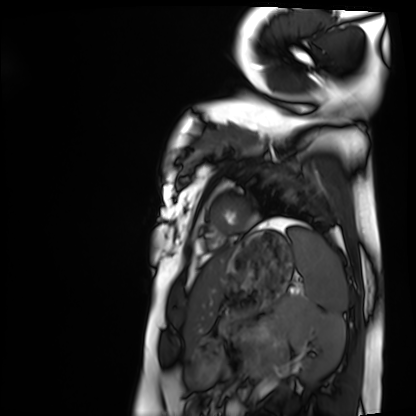
modality: cardiac MRI; subject group: healthy volunteer.